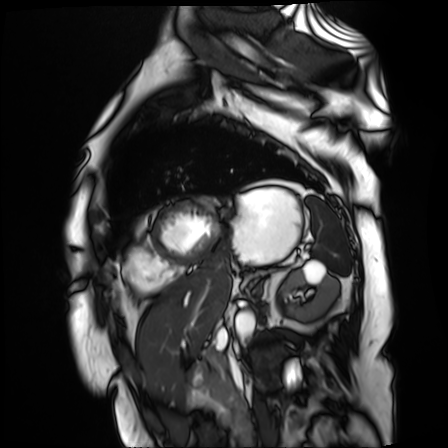
<case>
<modality>cardiac MR image of the myocardium</modality>
<cohort>cardiac patient</cohort>
</case>